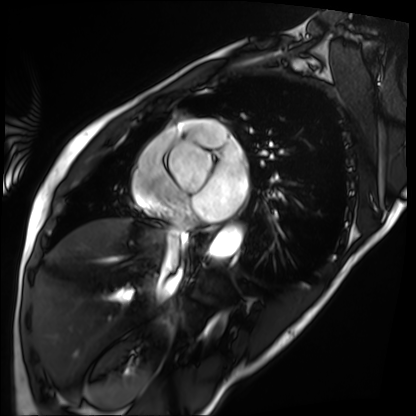
Cardiac MRI.
Subject group: patient.